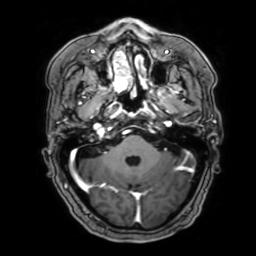
– modality — 3 Tesla brain MRI
– series — 3D T1-weighted with SENSE
– study — ring-enhancing brain masses